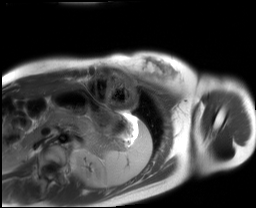
Clinical context: Cardiac MRI. Subject group: healthy volunteer.